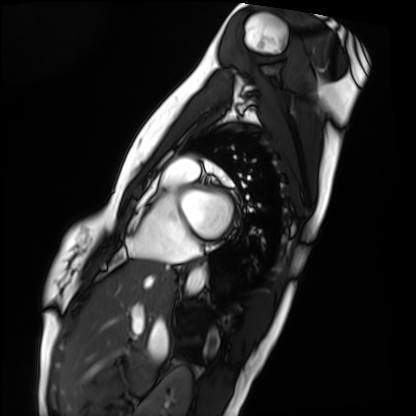
Summary:
Cardiac MRI. Subject group: healthy volunteer.